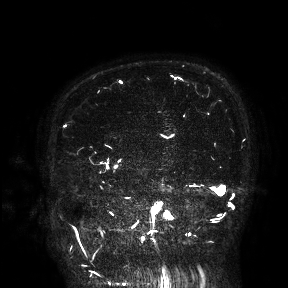
modality = 3 Tesla brain MRI | study = ring-enhancing brain masses.